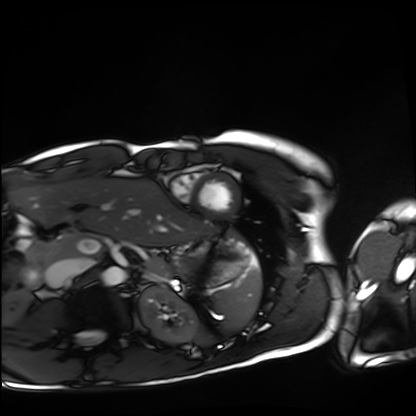
Cardiac MRI. Subject group: healthy volunteer.